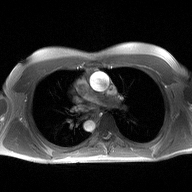
modality = 2D phase-contrast cine MRI of the ascending aorta